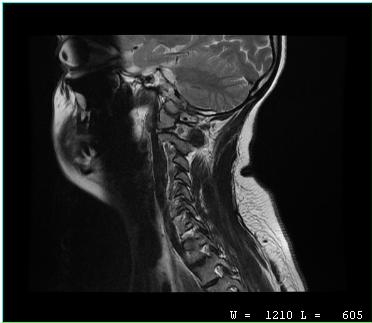
| field | value |
|---|---|
| modality | MRI of the cervical spine |
| study | cervical spondylosis |